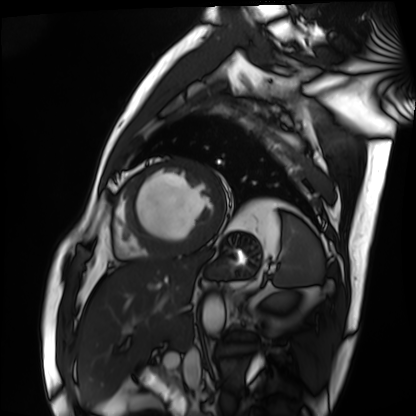
Cardiac MRI. Subject group: patient.